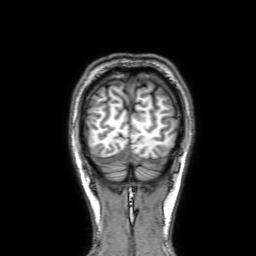
Case:
* modality: 3 Tesla brain MRI
* series: 3D T1-weighted with SENSE
* study: ring-enhancing brain masses